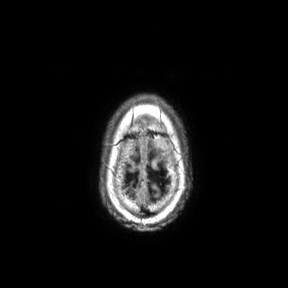
modality — 3 Tesla brain MRI; series — axial; study — ring-enhancing brain masses.